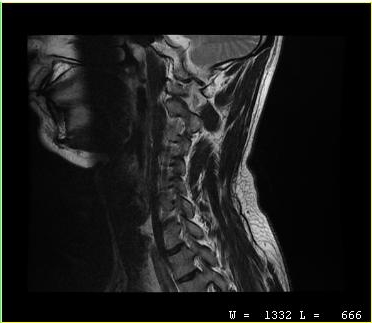
Summary: MRI of the cervical spine. Study: cervical spondylosis.